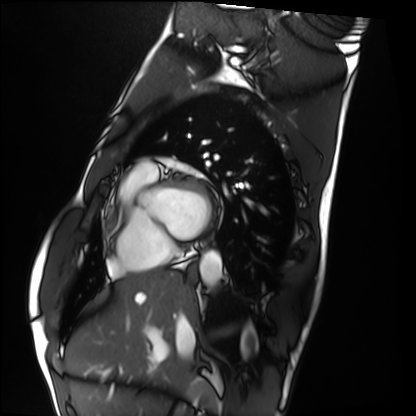
Case:
* modality: cardiac MRI
* subject group: healthy volunteer